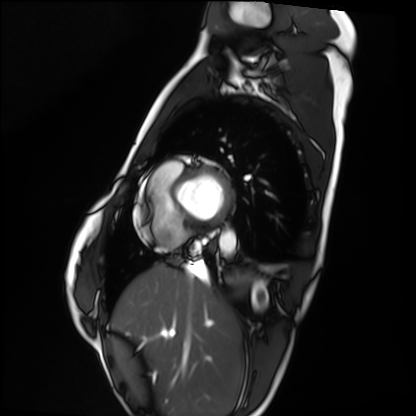
Case:
• modality: cardiac MRI
• subject group: healthy volunteer